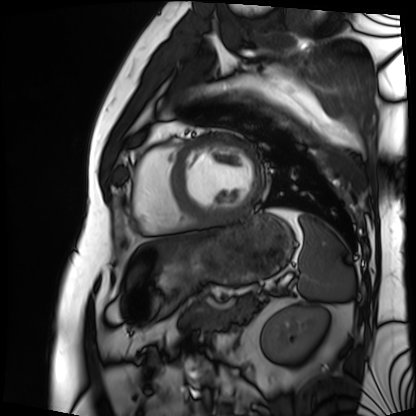
| field | value |
|---|---|
| modality | cardiac MRI |
| subject group | patient |